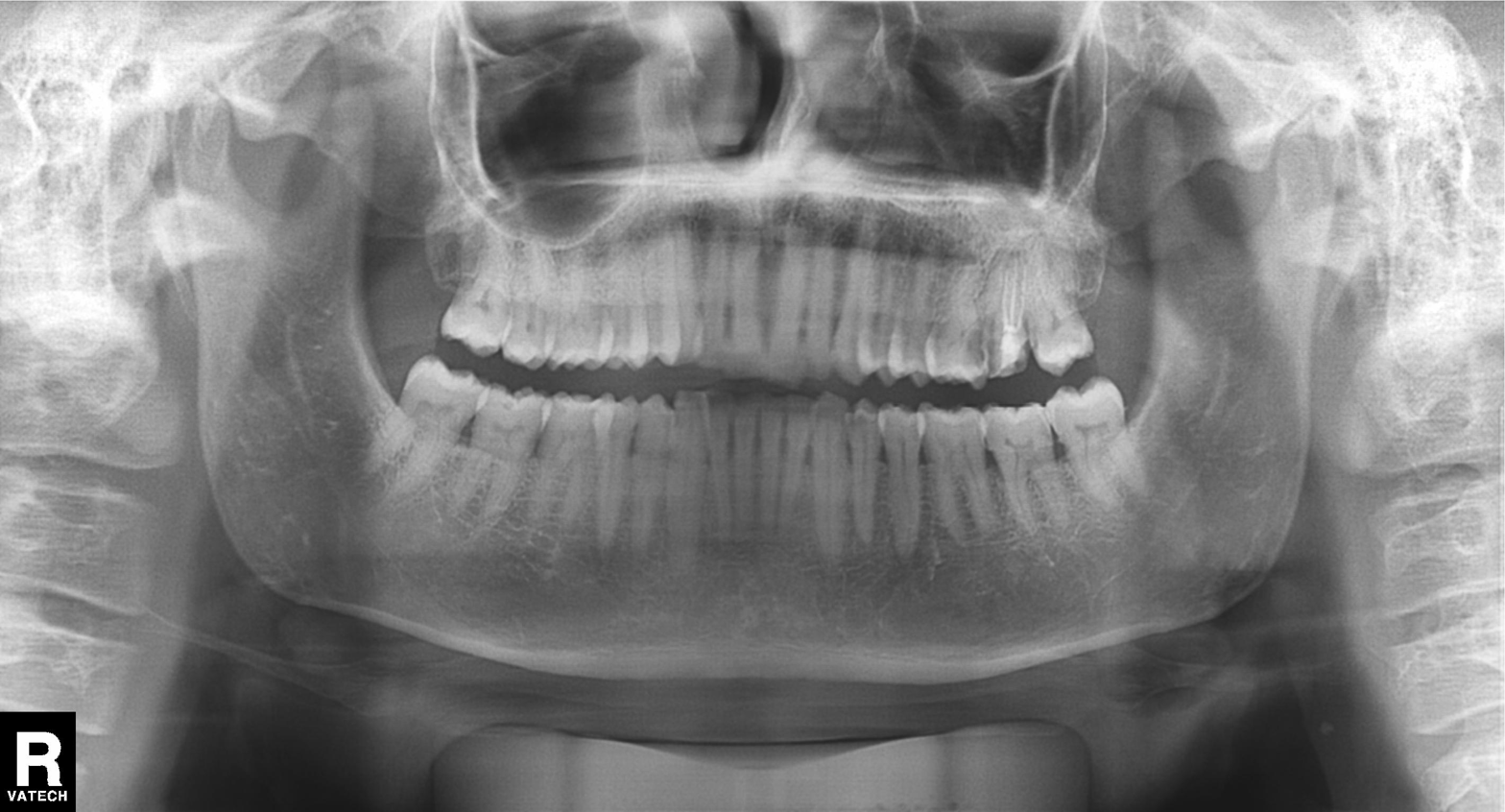
{
  "modality": "panoramic dental radiograph (orthopantomogram)",
  "finding": "alveolar bone loss"
}